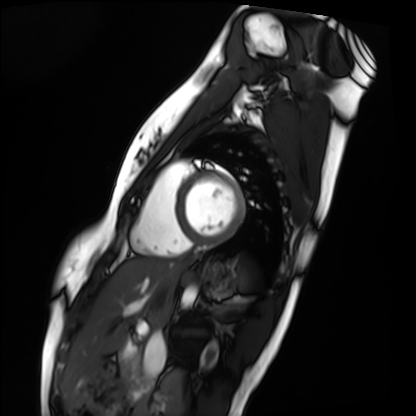
Cardiac MRI. Subject group: healthy volunteer.